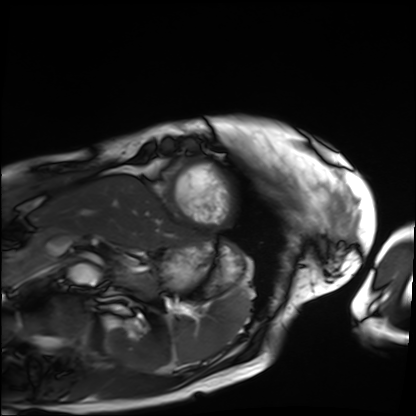
Clinical context: Cardiac MRI. Subject group: patient.